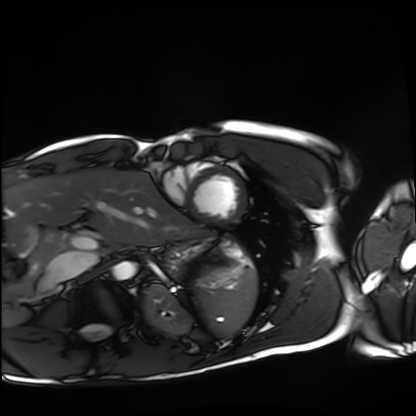
  modality: cardiac MRI
  cohort: healthy volunteer